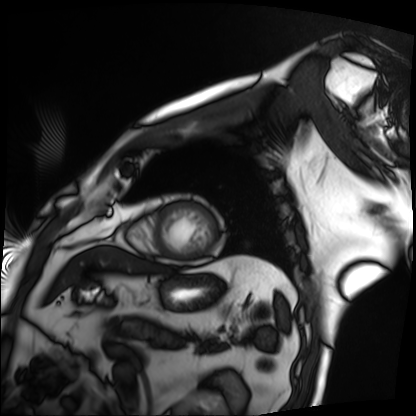
Summary: Cardiac MRI. Subject group: patient.